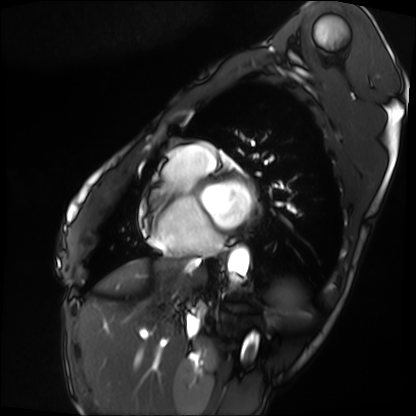
Clinical context:
Cardiac MRI. Subject group: patient.